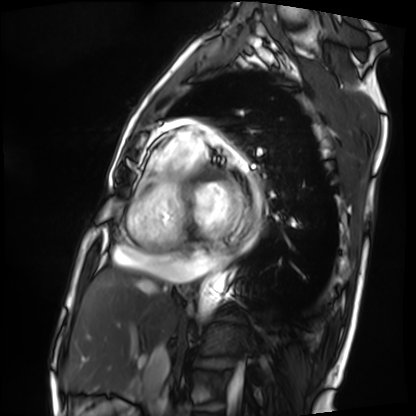
Summary: Cardiac MRI. Subject group: patient.